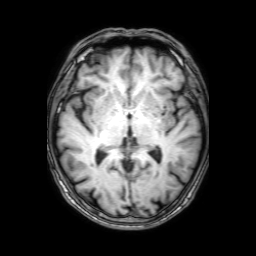
{"modality": {"type": "brain MRI", "field_strength": "3T"}, "series": "3D T1-weighted with SENSE", "study_topic": "ring-enhancing brain masses"}